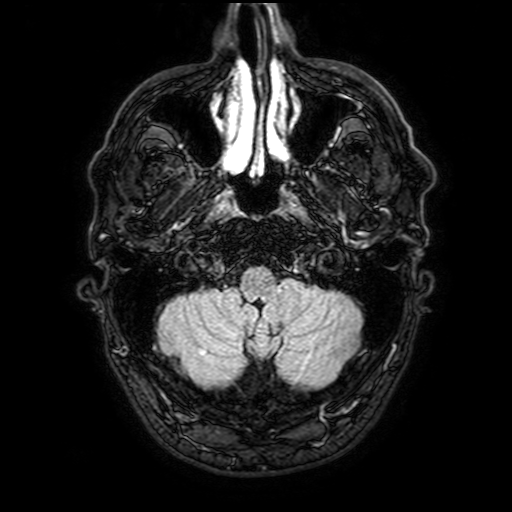
3 Tesla brain MRI.
Series: FLAIR with SPAIR, 3 mm.
Study: ring-enhancing brain masses.